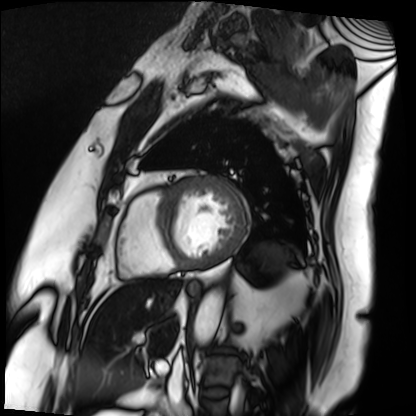
{
  "modality": "cardiac MRI",
  "cohort": "patient"
}